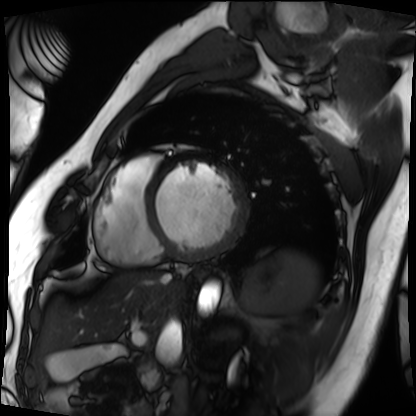
| field | value |
|---|---|
| modality | cardiac MRI |
| subject group | patient |